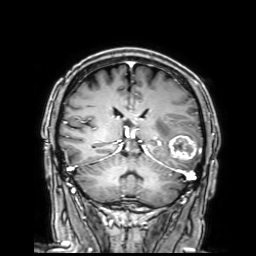
<record>
  <modality>
    <type>brain MRI</type>
    <field_strength>3T</field_strength>
  </modality>
  <series>3D T1-weighted with SENSE</series>
  <study_topic>ring-enhancing brain masses</study_topic>
</record>